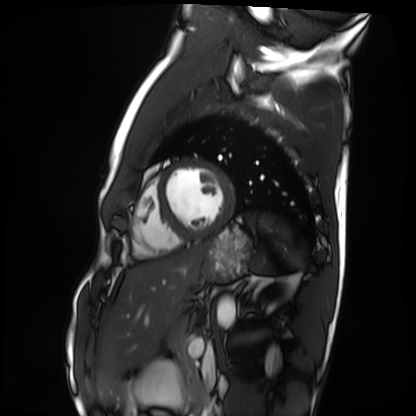
Cardiac MRI. Subject group: healthy volunteer.